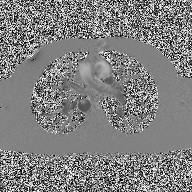
{"modality": {"type": "2D phase-contrast cine MRI", "region": "ascending aorta", "reconstruction": "high-resolution GRAPPA acquisition"}}